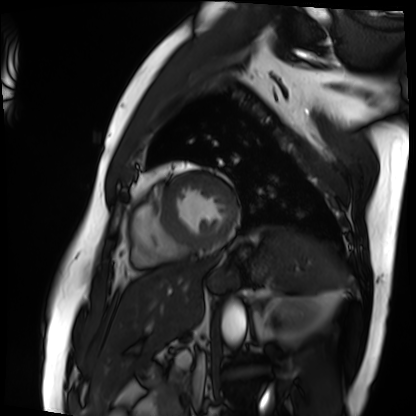
{"modality": "cardiac MRI", "cohort": "patient"}